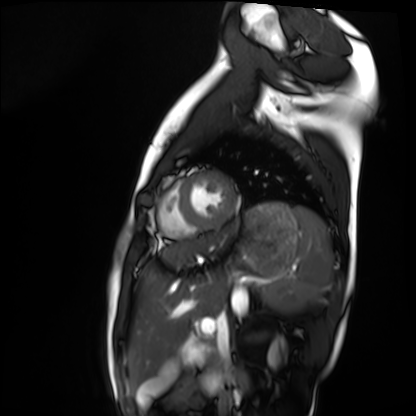
Q: What kind of scan is this?
A: Cardiac MRI.
Subject group: healthy volunteer.